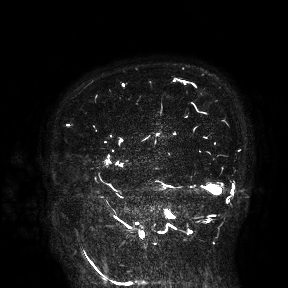
3 Tesla brain MRI.
Study: ring-enhancing brain masses.